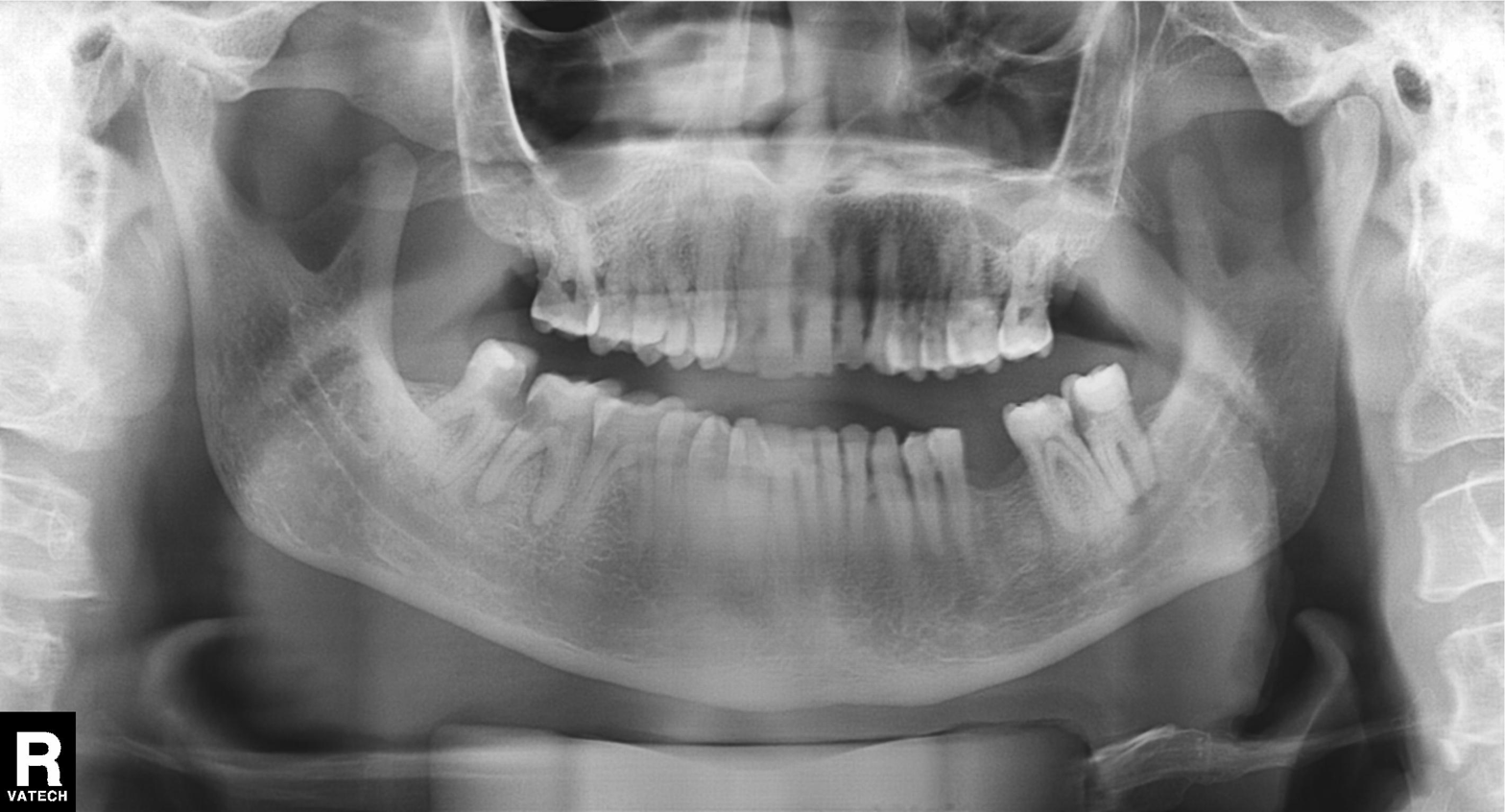
  modality: panoramic dental radiograph (orthopantomogram)
  finding: dental caries (cavities)